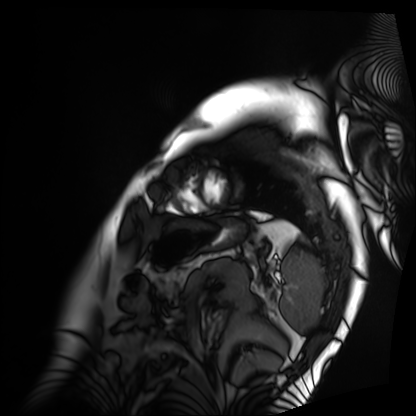
Clinical context:
Cardiac MRI. Subject group: patient.